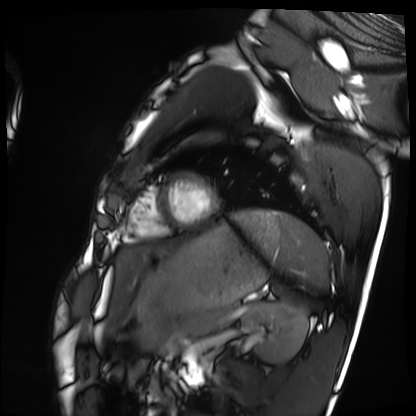
| field | value |
|---|---|
| modality | cardiac MRI |
| subject group | healthy volunteer |